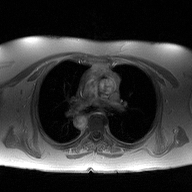
modality: 2D phase-contrast cine MRI of the ascending aorta.